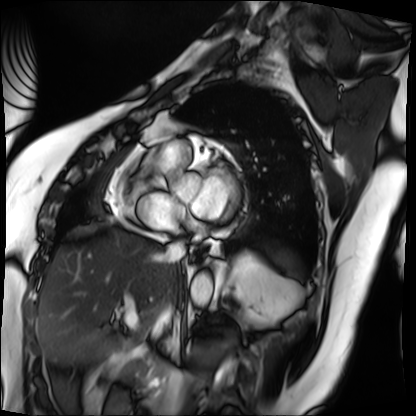
Cardiac MRI. Subject group: patient.